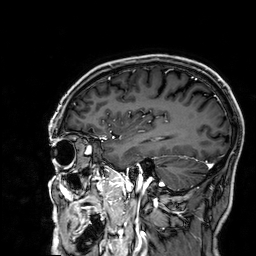
| field | value |
|---|---|
| modality | 3 Tesla brain MRI |
| series | 3D T1-weighted |
| study | ring-enhancing brain masses |